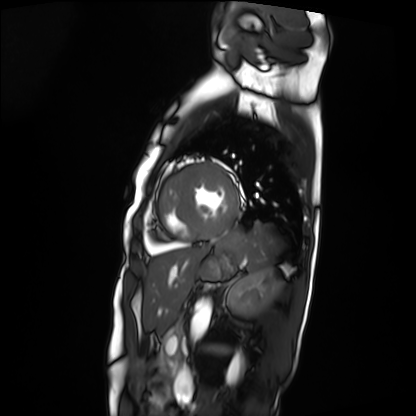
Summary: Cardiac MRI. Subject group: patient.